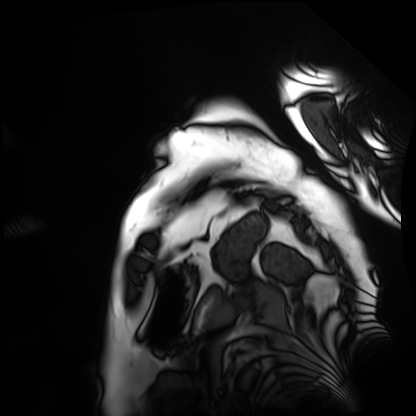
modality: cardiac MRI
cohort: patient